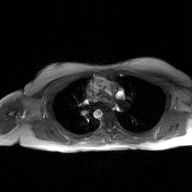
2D phase-contrast cine MRI of the ascending aorta, GAN super-resolution reconstruction.